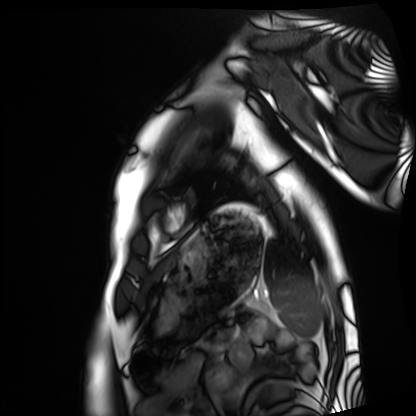
Cardiac MRI. Subject group: healthy volunteer.